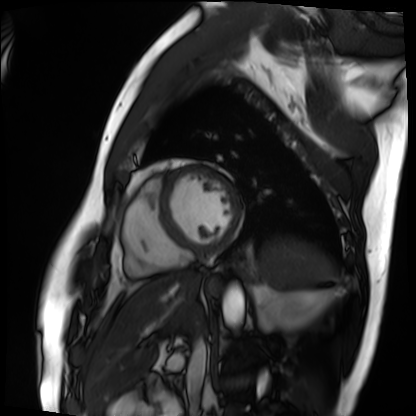
Case:
• modality: cardiac MRI
• subject group: patient